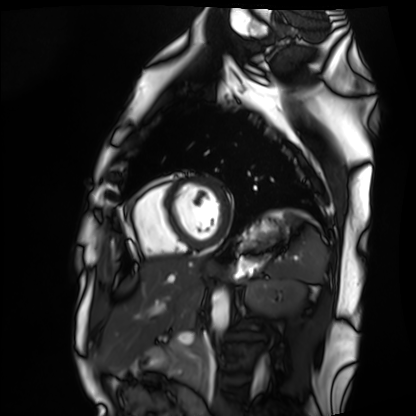
Cardiac MRI. Subject group: healthy volunteer.